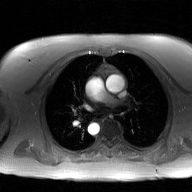
Case summary: 2D phase-contrast cine MRI of the ascending aorta, GAN super-resolution reconstruction.